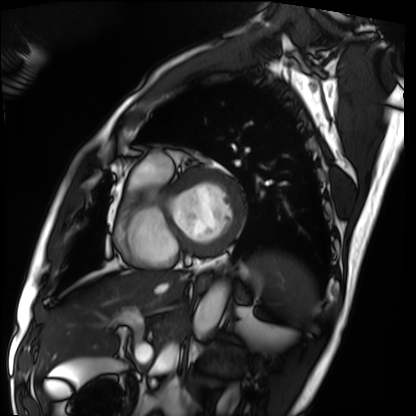
Cardiac MRI. Subject group: patient.